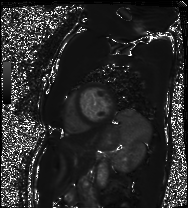
Cardiac MRI. Subject group: patient.